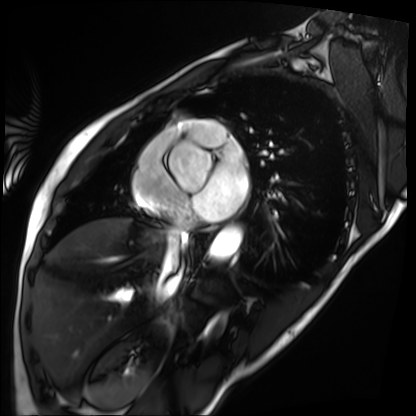
Cardiac MRI.
Subject group: patient.